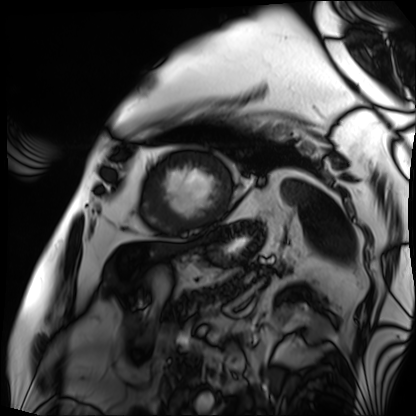
modality=cardiac MRI | subject group=patient.